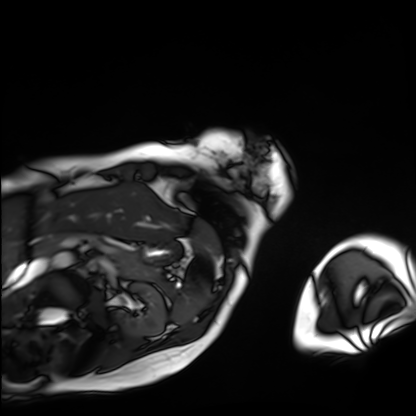
Cardiac MRI.
Subject group: patient.